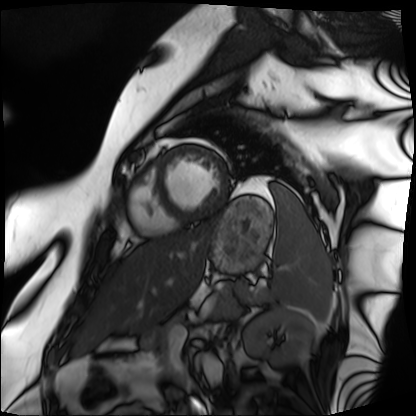
| field | value |
|---|---|
| modality | cardiac MRI |
| subject group | patient |